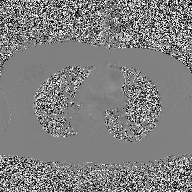
2D phase-contrast cine MRI of the ascending aorta, high-resolution GRAPPA acquisition.